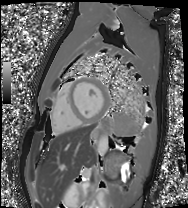
modality: cardiac MRI, subject group: healthy volunteer.